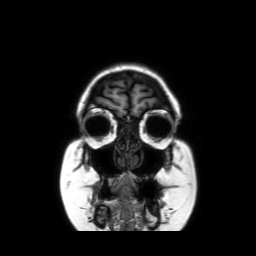
modality: 3 Tesla brain MRI | series: coronal without contrast | study: ring-enhancing brain masses.